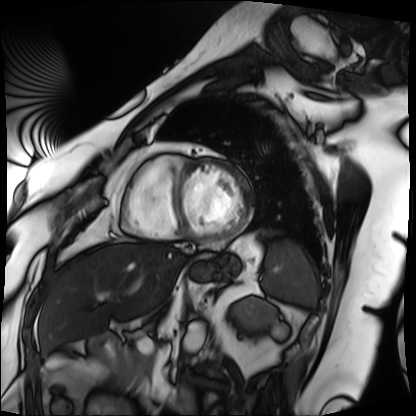
Cardiac MRI. Subject group: patient.